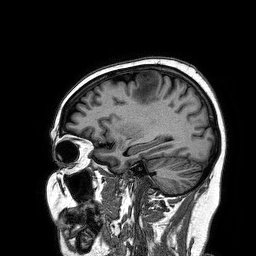
modality = 3 Tesla brain MRI; series = 3D T1-weighted turbo field echo; study = ring-enhancing brain masses.